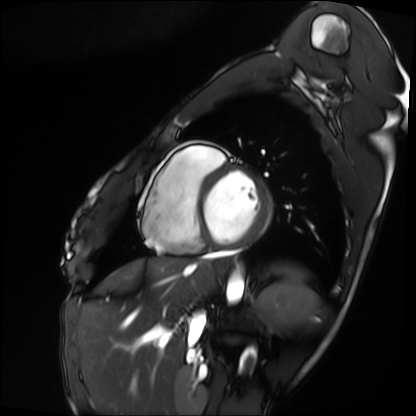
Clinical context: Cardiac MRI. Subject group: patient.